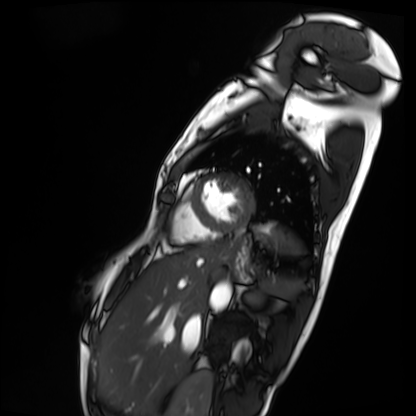
  modality: cardiac MRI
  cohort: patient